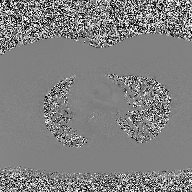
2D phase-contrast cine MRI of the ascending aorta, high-resolution GRAPPA acquisition.